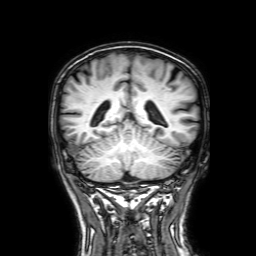
modality = 3 Tesla brain MRI | series = 3D T1-weighted with SENSE | study = ring-enhancing brain masses.